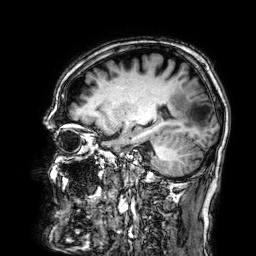
modality = 3 Tesla brain MRI | series = 3D T1-weighted | study = ring-enhancing brain masses.